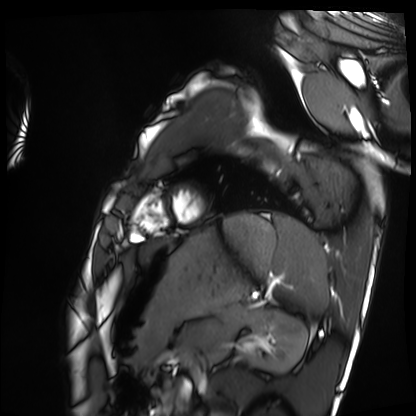
| field | value |
|---|---|
| modality | cardiac MRI |
| subject group | healthy volunteer |